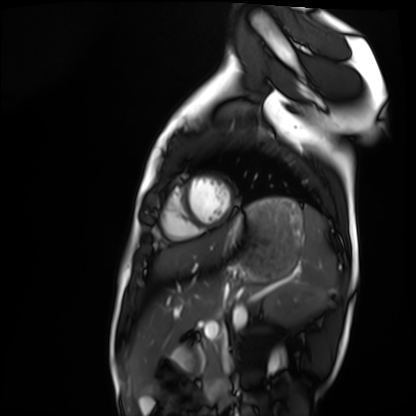
Summary: Cardiac MRI. Subject group: healthy volunteer.